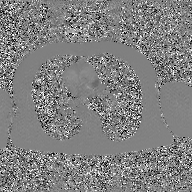
modality: 2D phase-contrast cine MRI of the ascending aorta, GAN super-resolution reconstruction.